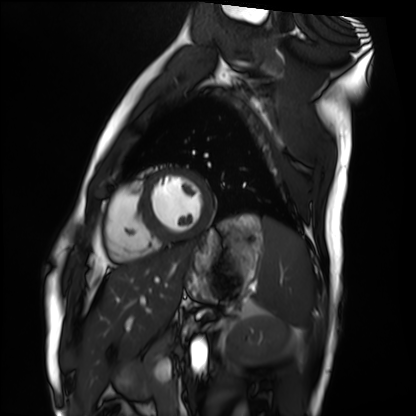
Q: What kind of scan is this?
A: Cardiac MRI.
Subject group: healthy volunteer.